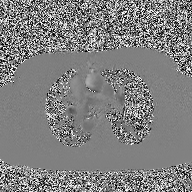
modality — 2D phase-contrast cine MRI of the ascending aorta.